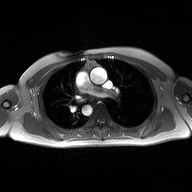
modality: 2D phase-contrast cine MRI of the ascending aorta.